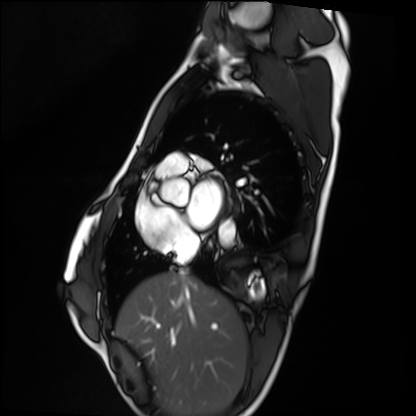
{"modality": "cardiac MRI", "cohort": "healthy volunteer"}